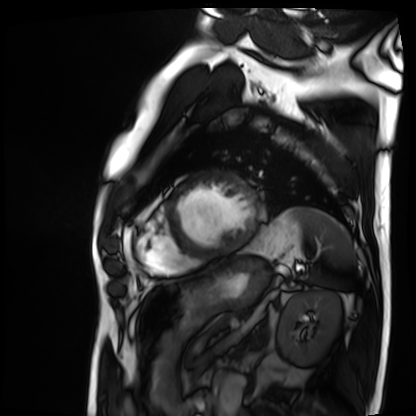
modality — cardiac MRI
subject group — patient